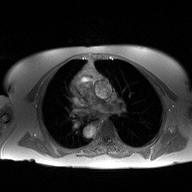
2D phase-contrast cine MRI of the ascending aorta, high-resolution GRAPPA acquisition.